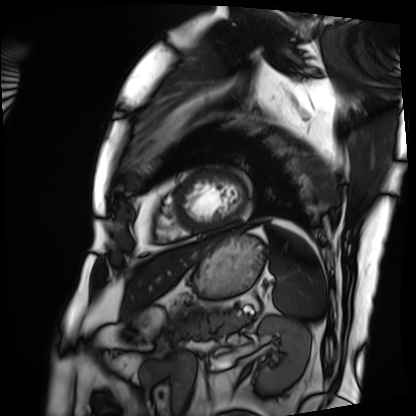
modality = cardiac MRI, subject group = patient.